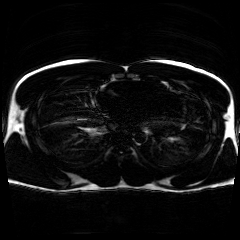
Chemical-shift-encoded cardiac MRI.